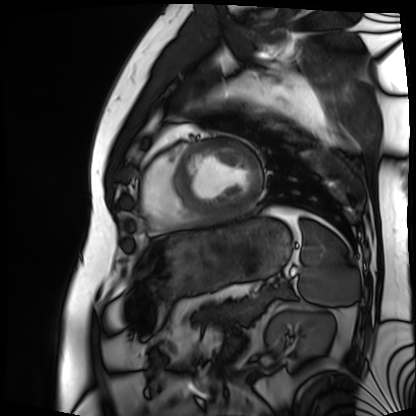
Summary: Cardiac MRI. Subject group: patient.